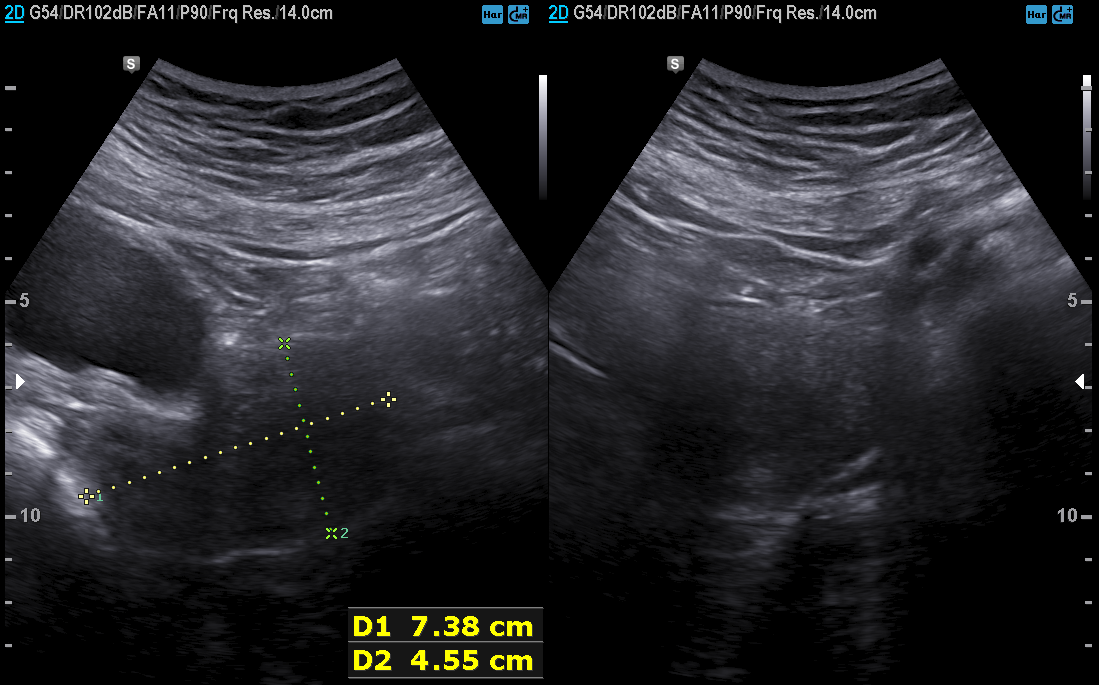
Case summary: Genitourinary ultrasound.